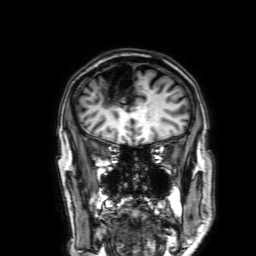
<record>
  <modality>
    <type>brain MRI</type>
    <field_strength>3T</field_strength>
  </modality>
  <series>3D T1-weighted with SENSE</series>
  <study_topic>ring-enhancing brain masses</study_topic>
</record>